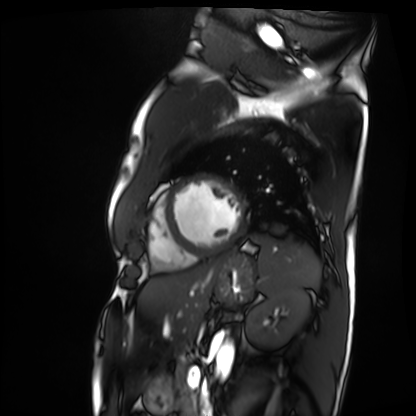
Cardiac MRI. Subject group: patient.